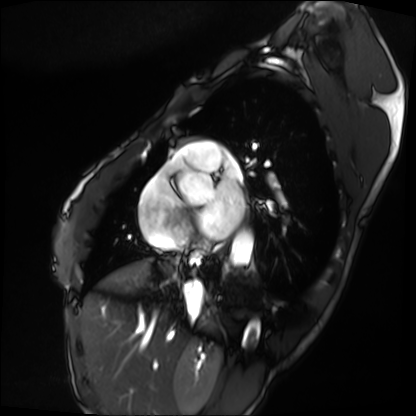
modality: cardiac MRI | subject group: patient.